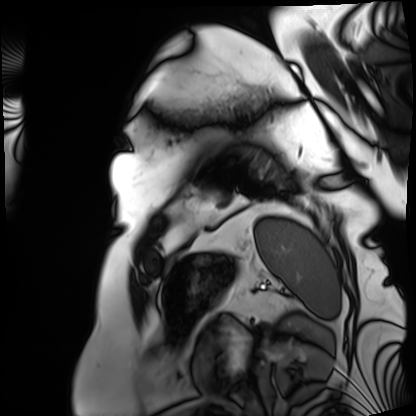
Summary: Cardiac MRI. Subject group: patient.